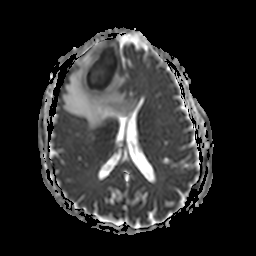
modality = 3 Tesla brain MRI; series = apparent diffusion coefficient (ADC) map; study = ring-enhancing brain masses.